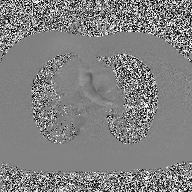
* modality — 2D phase-contrast cine MRI of the ascending aorta